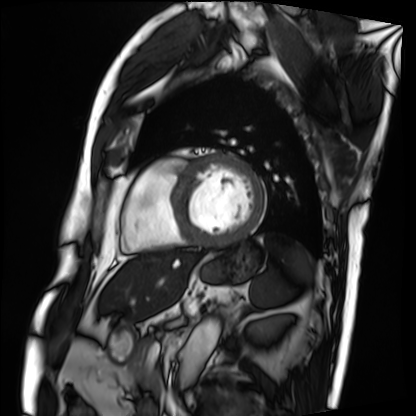
| field | value |
|---|---|
| modality | cardiac MRI |
| subject group | patient |